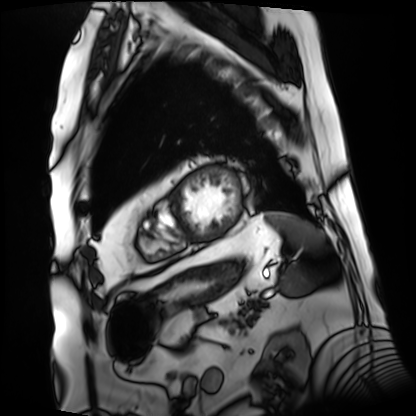
modality=cardiac MRI | subject group=patient.